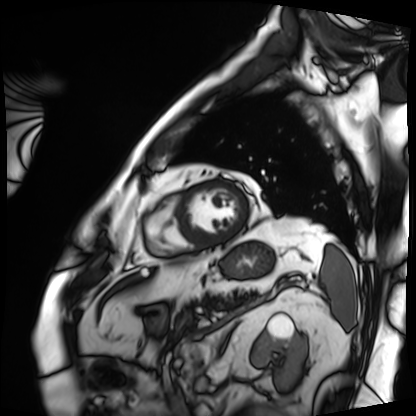
modality: cardiac MRI
cohort: patient